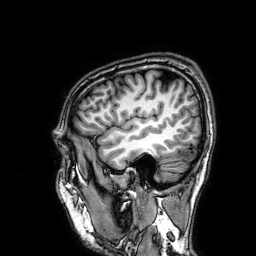
Case:
* modality — 3 Tesla brain MRI
* series — 3D T1-weighted
* study — ring-enhancing brain masses